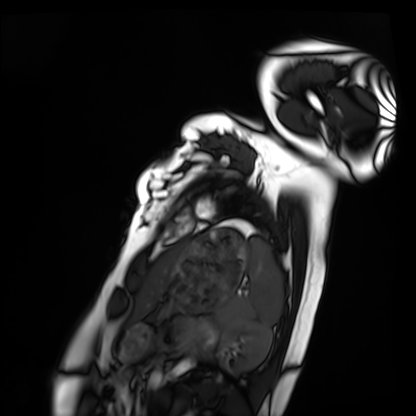
Summary:
Cardiac MRI. Subject group: healthy volunteer.